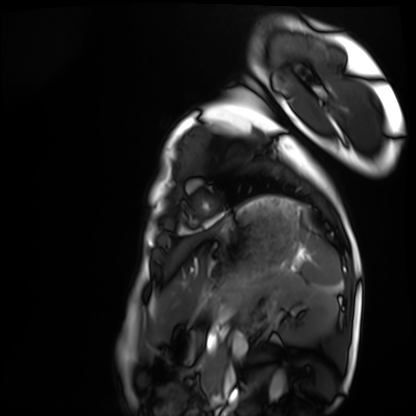
Cardiac MRI.
Subject group: healthy volunteer.